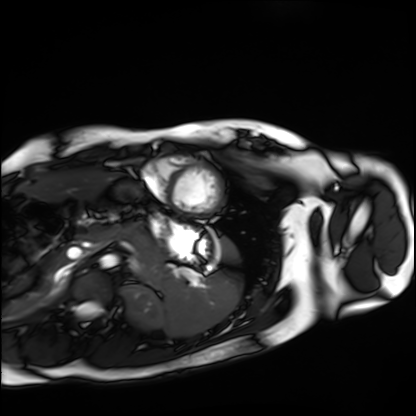
Cardiac MRI. Subject group: healthy volunteer.